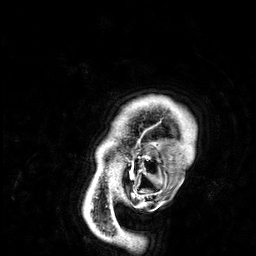
Case:
- modality — 3 Tesla brain MRI
- series — 3D T1-weighted
- study — ring-enhancing brain masses